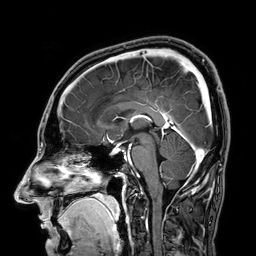
modality=3 Tesla brain MRI; series=3D T1-weighted; study=ring-enhancing brain masses.